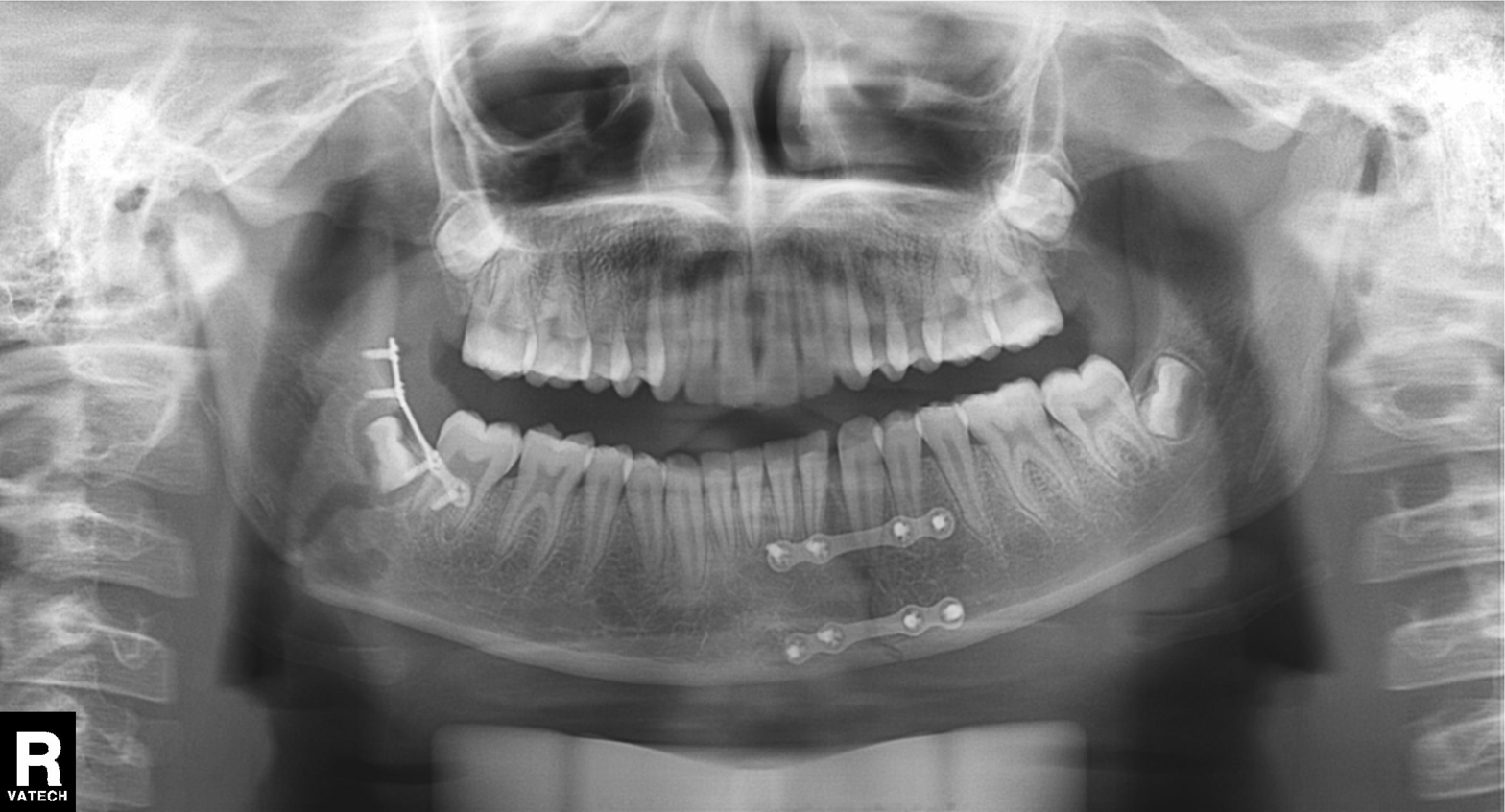
modality: panoramic dental radiograph (orthopantomogram), finding: tooth impaction.